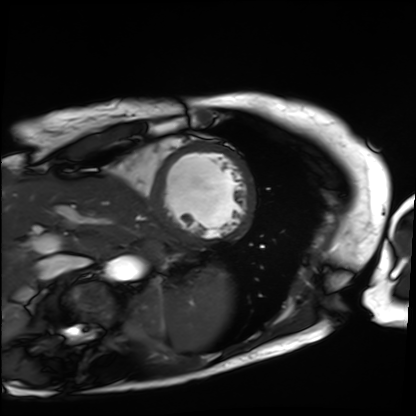
Cardiac MRI. Subject group: patient.